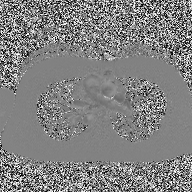
{
  "modality": {
    "type": "2D phase-contrast cine MRI",
    "region": "ascending aorta",
    "reconstruction": "high-resolution GRAPPA acquisition"
  }
}